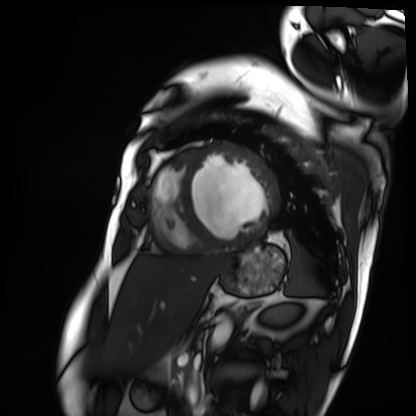
modality: cardiac MRI
cohort: patient